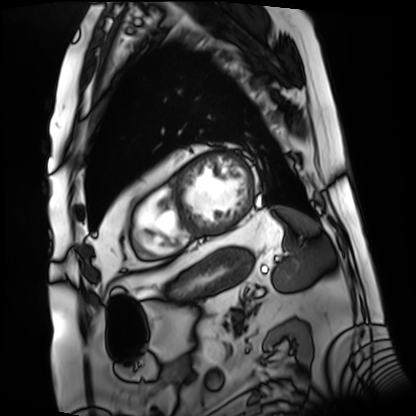
Cardiac MRI. Subject group: patient.